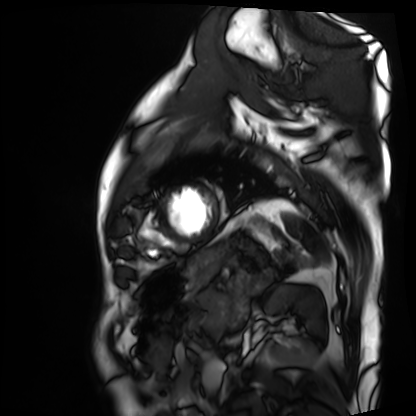
Q: What kind of scan is this?
A: Cardiac MRI.
Subject group: patient.